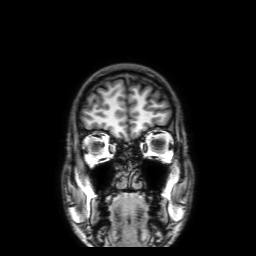
Summary: 3 Tesla brain MRI. Series: 3D T1-weighted with SENSE. Study: ring-enhancing brain masses.